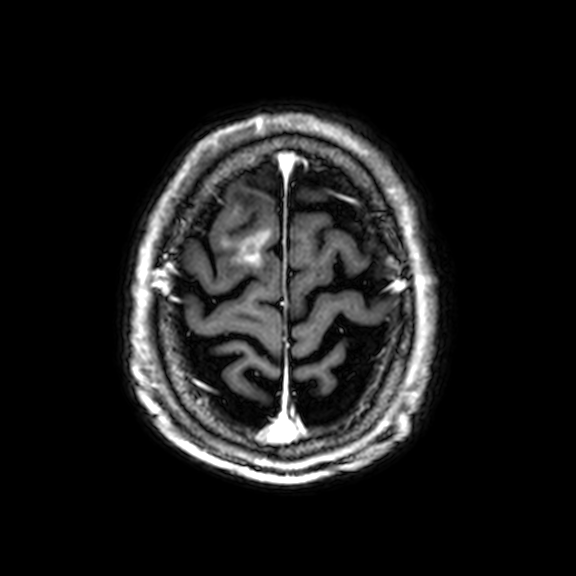
modality: 3 Tesla brain MRI
study: ring-enhancing brain masses